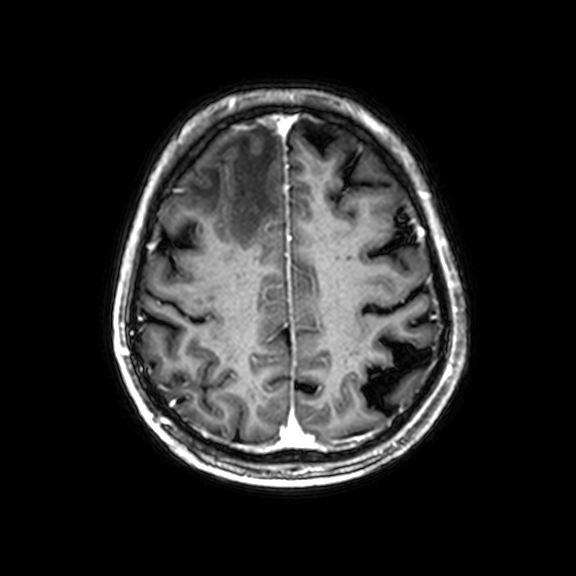
Q: What kind of scan is this?
A: 3 Tesla brain MRI.
Q: Series?
A: 3D T1-weighted with CLEAR.
Study: ring-enhancing brain masses.